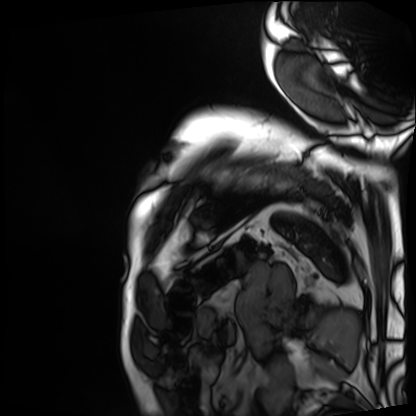
modality — cardiac MRI
subject group — patient